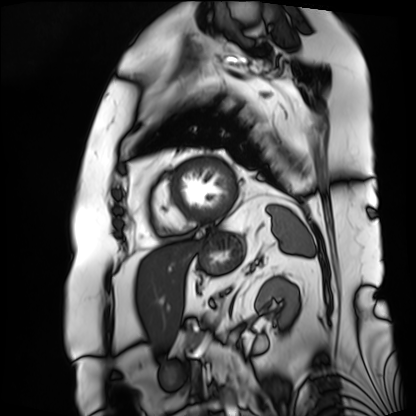
modality: cardiac MRI | subject group: patient.